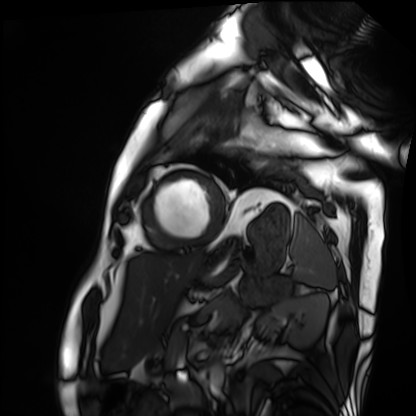
Q: What kind of scan is this?
A: Cardiac MRI.
Subject group: patient.